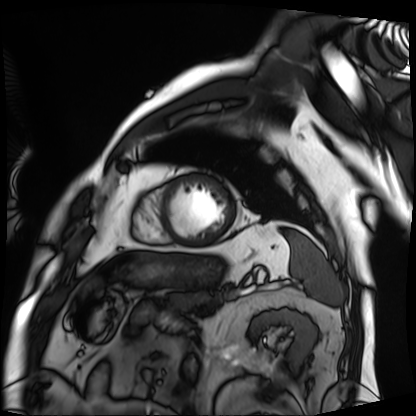
  modality: cardiac MRI
  cohort: patient